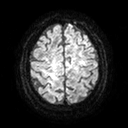
Case:
– modality — 3 Tesla brain MRI
– series — diffusion tensor imaging (medium iso)
– study — ring-enhancing brain masses